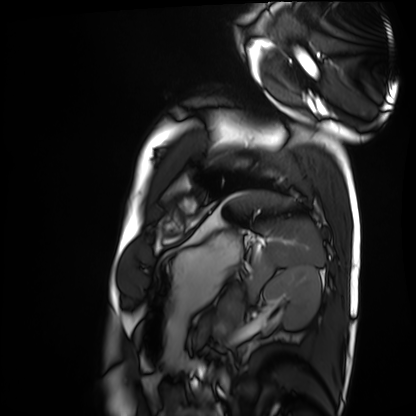
Summary:
Cardiac MRI. Subject group: healthy volunteer.